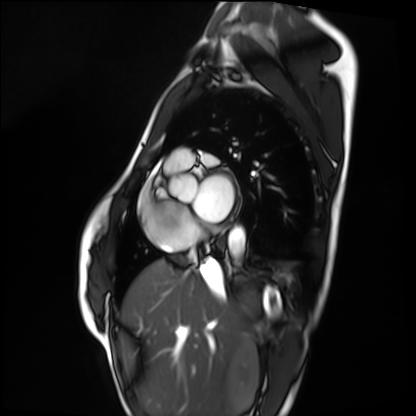
{
  "modality": "cardiac MRI",
  "cohort": "healthy volunteer"
}